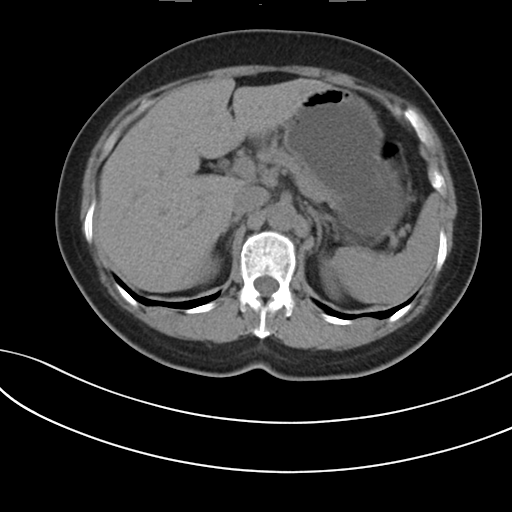
{
  "modality": {
    "type": "multiphase abdominal CT",
    "region": "liver",
    "phase": "non-contrast"
  },
  "patient": {
    "sex": "female",
    "age": 60
  }
}